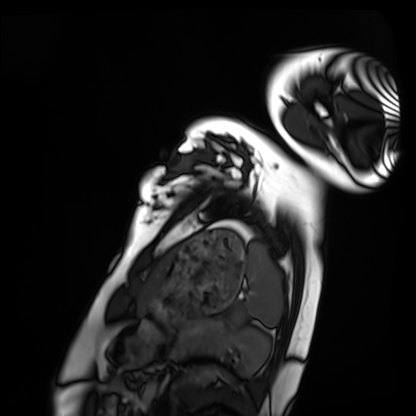
Cardiac MRI. Subject group: healthy volunteer.